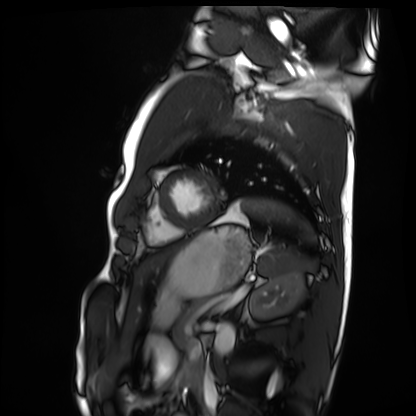
Cardiac MRI.
Subject group: healthy volunteer.